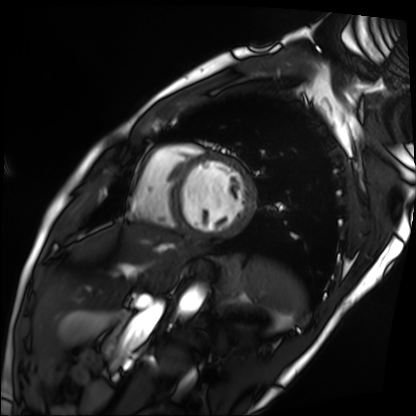
Cardiac MRI. Subject group: patient.